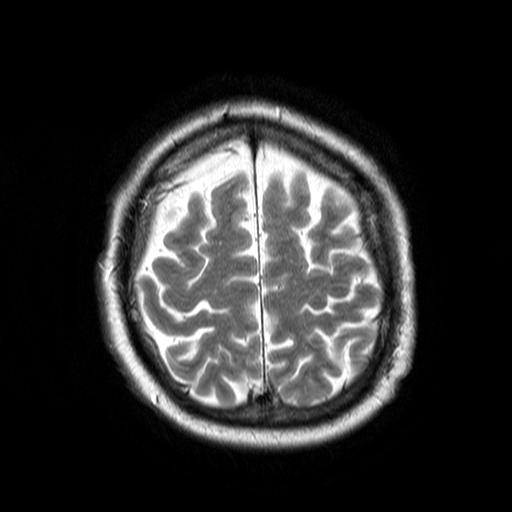
Summary: 3 Tesla brain MRI. Series: T2-weighted turbo spin echo. Study: ring-enhancing brain masses.